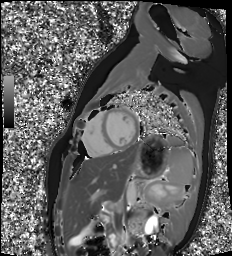
<scan>
  <modality>cardiac MR image of the myocardium</modality>
  <cohort>healthy volunteer</cohort>
</scan>